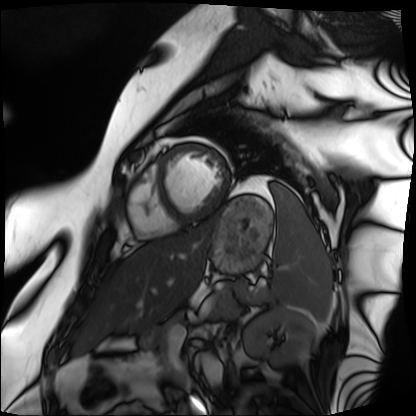
Cardiac MRI. Subject group: patient.